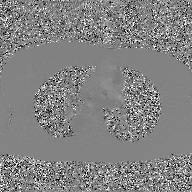
2D phase-contrast cine MRI of the ascending aorta, GAN super-resolution reconstruction.